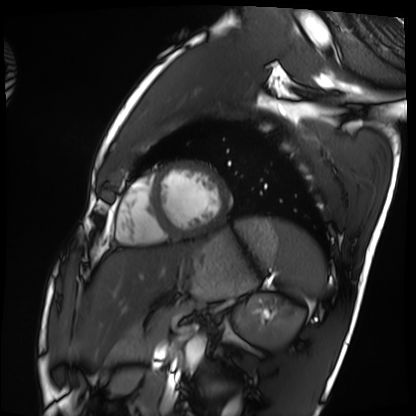
Cardiac MRI. Subject group: healthy volunteer.